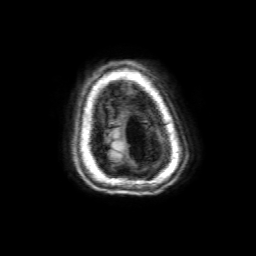
Summary:
3 Tesla brain MRI. Series: 3D T1-weighted with SENSE. Study: ring-enhancing brain masses.